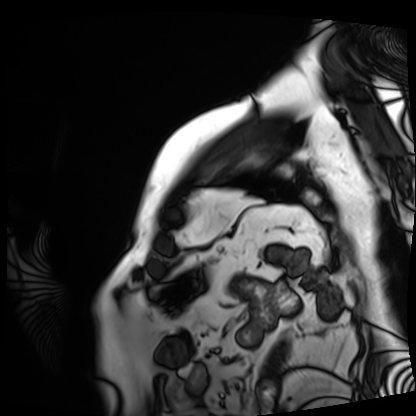
modality: cardiac MRI
cohort: patient